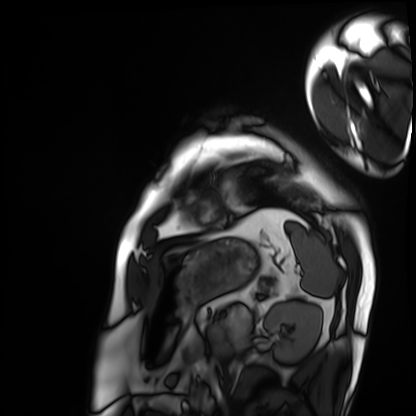
modality: cardiac MRI
subject group: patient